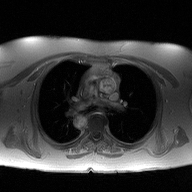
2D phase-contrast cine MRI of the ascending aorta, high-resolution GRAPPA acquisition.